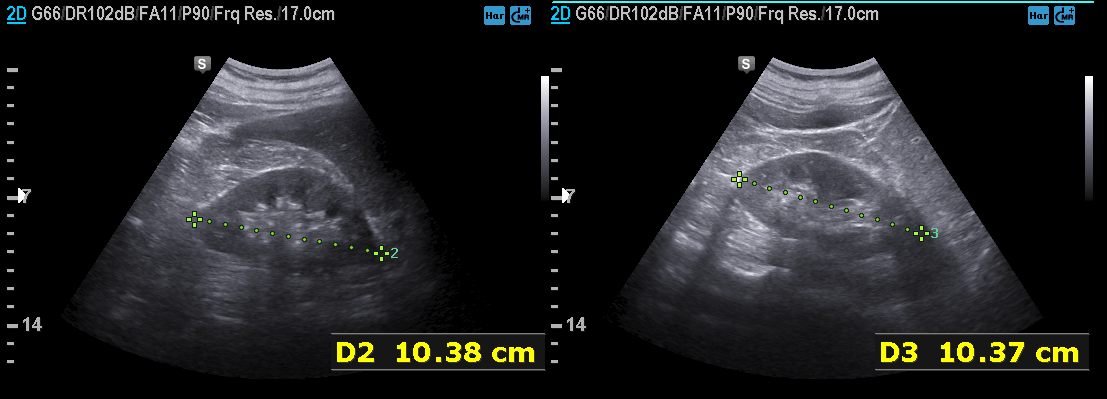
Case summary:
Genitourinary ultrasound.